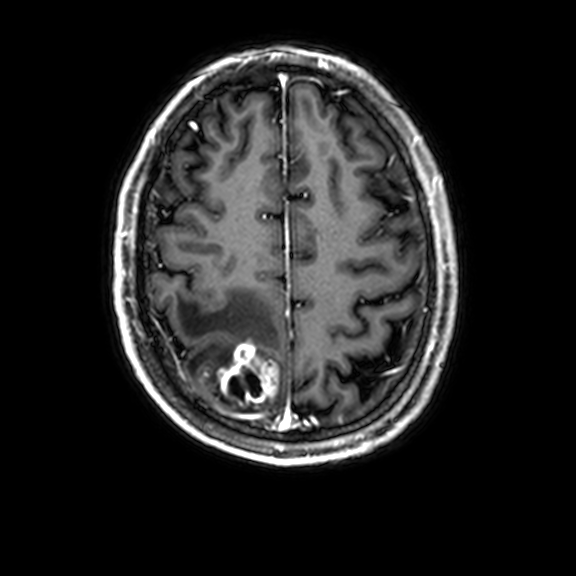
Q: What kind of scan is this?
A: 3 Tesla brain MRI.
Q: Series?
A: 3D T1-weighted with CLEAR.
Study: ring-enhancing brain masses.